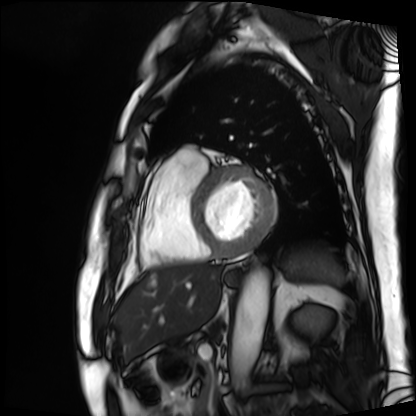
Cardiac MRI. Subject group: patient.